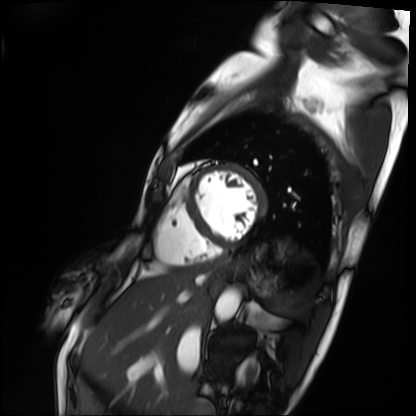
Q: What kind of scan is this?
A: Cardiac MRI.
Subject group: patient.